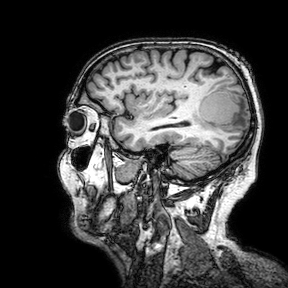
3 Tesla brain MRI. Series: 3D T1-weighted turbo field echo with SENSE. Study: ring-enhancing brain masses.